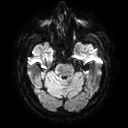
Q: What kind of scan is this?
A: 3 Tesla brain MRI.
Q: Series?
A: Diffusion tensor imaging (medium iso).
Study: ring-enhancing brain masses.